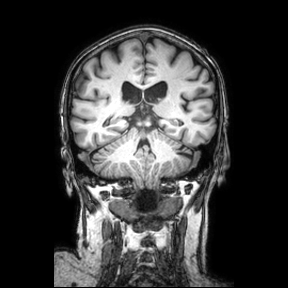
  modality:
    type: brain MRI
    field_strength: 3T
  series: coronal
  study_topic: ring-enhancing brain masses